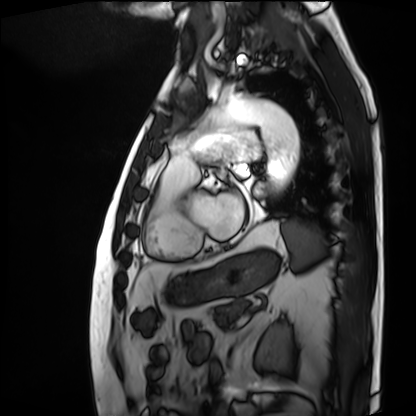
modality=cardiac MRI
subject group=patient